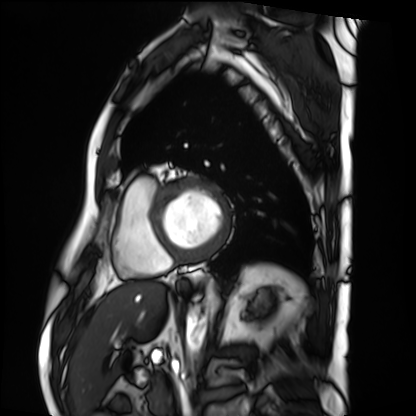
Cardiac MRI. Subject group: patient.